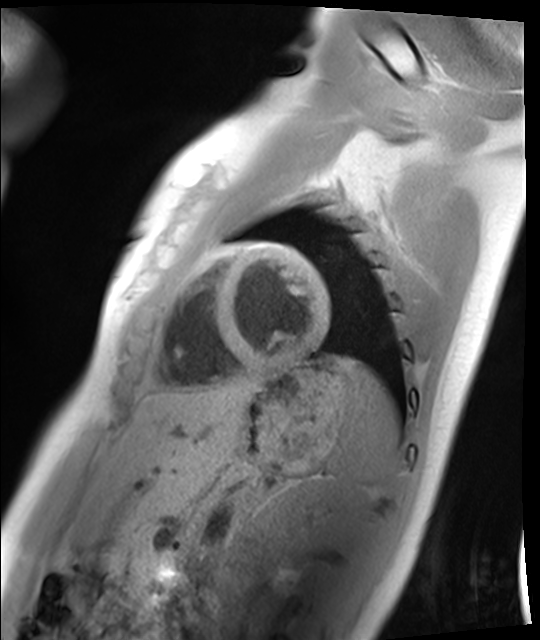
modality=cardiac MRI; subject group=healthy volunteer.